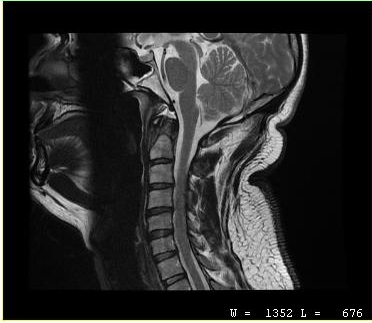
Summary: MRI of the cervical spine. Study: cervical spondylosis.